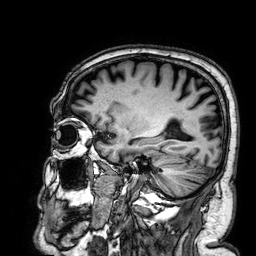
Case summary: 3 Tesla brain MRI. Series: 3D T1-weighted. Study: ring-enhancing brain masses.